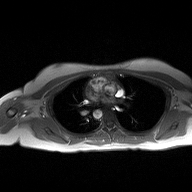
modality = 2D phase-contrast cine MRI of the ascending aorta